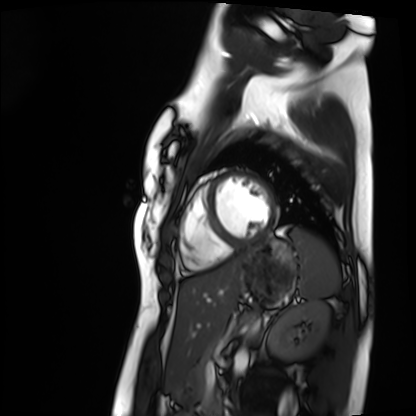
Cardiac MRI. Subject group: healthy volunteer.